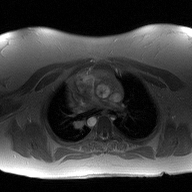
• modality: 2D phase-contrast cine MRI of the ascending aorta